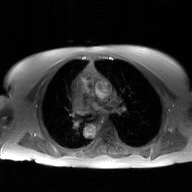
Summary:
2D phase-contrast cine MRI of the ascending aorta, GAN super-resolution reconstruction.